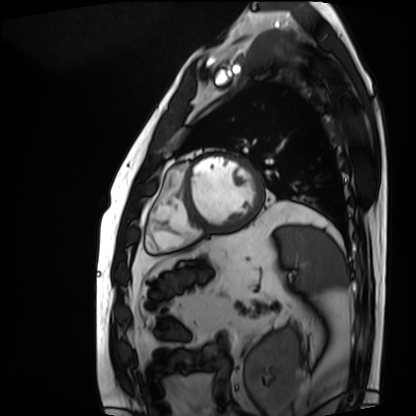
modality: cardiac MRI | subject group: patient.